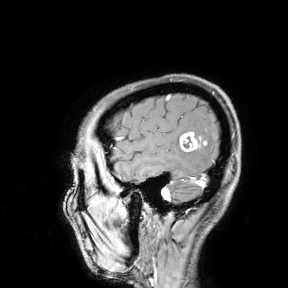
modality = 3 Tesla brain MRI | study = ring-enhancing brain masses.